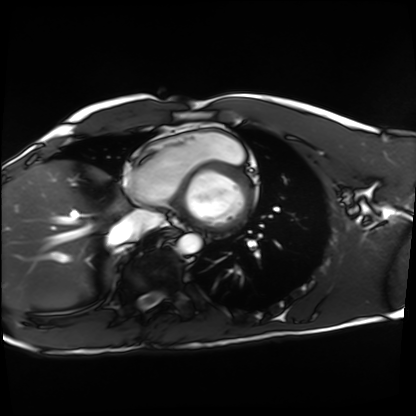
Case summary:
Cardiac MRI. Subject group: healthy volunteer.